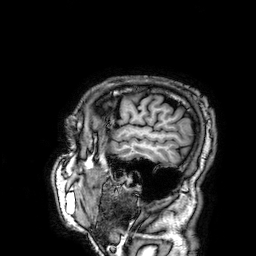
modality=3 Tesla brain MRI; series=3D T1-weighted; study=ring-enhancing brain masses.